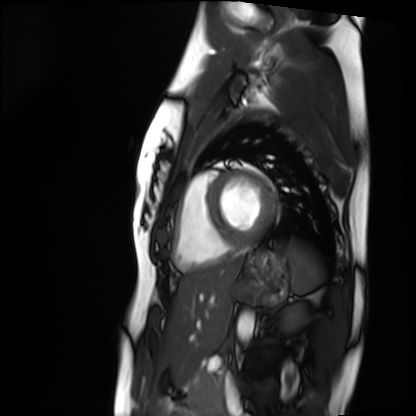
{"modality": "cardiac MRI", "cohort": "healthy volunteer"}